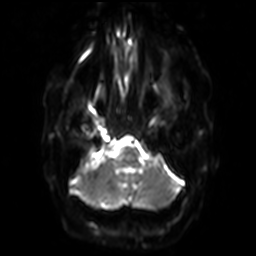
• modality — 3 Tesla brain MRI
• series — diffusion-weighted imaging with SENSE (WIP)
• study — ring-enhancing brain masses